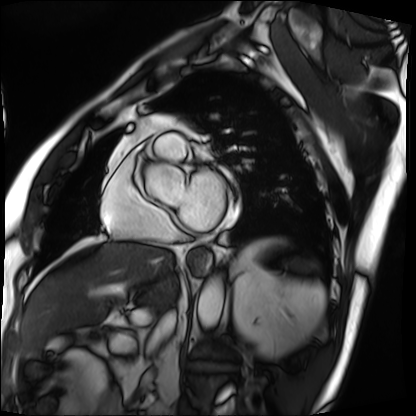
Summary:
Cardiac MRI. Subject group: patient.